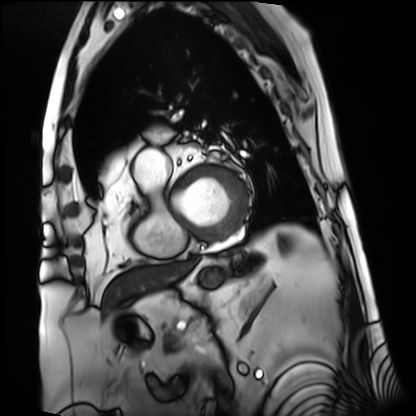
Case summary: Cardiac MRI. Subject group: patient.